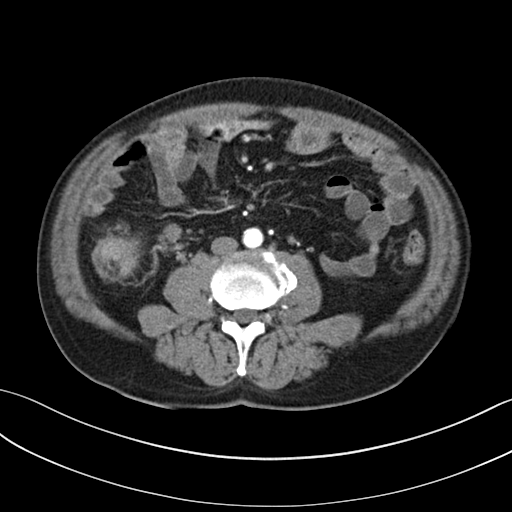
Multiphase abdominal CT, liver, arterial phase.
Patient: male, age 57.